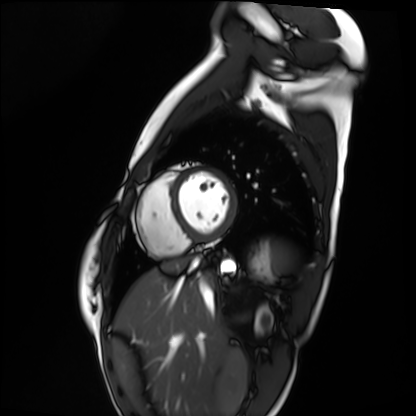
Q: What kind of scan is this?
A: Cardiac MRI.
Subject group: healthy volunteer.